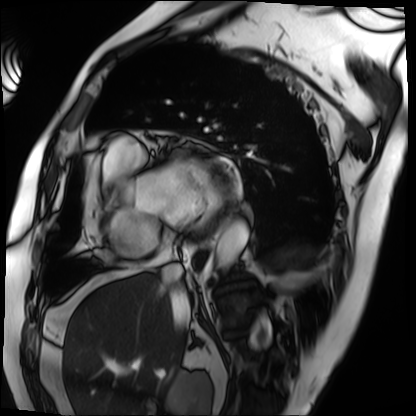
Q: What kind of scan is this?
A: Cardiac MRI.
Subject group: patient.